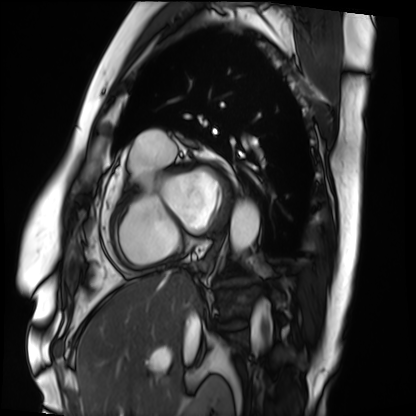
Cardiac MRI. Subject group: patient.